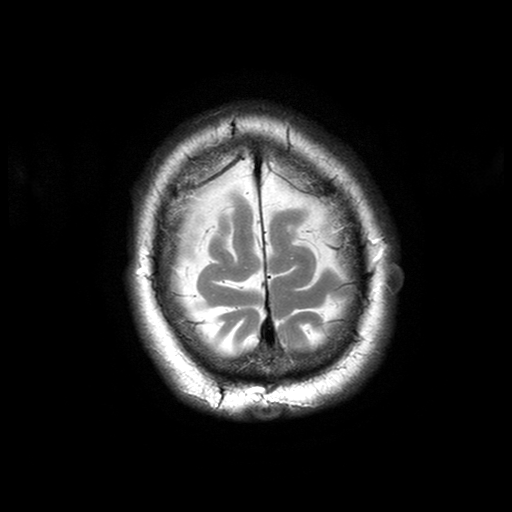
3 Tesla brain MRI.
Study: ring-enhancing brain masses.